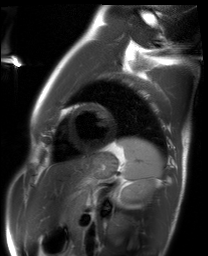
Summary: Cardiac MRI. Subject group: healthy volunteer.